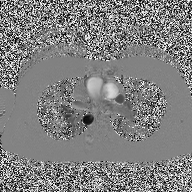
2D phase-contrast cine MRI of the ascending aorta, high-resolution GRAPPA acquisition.